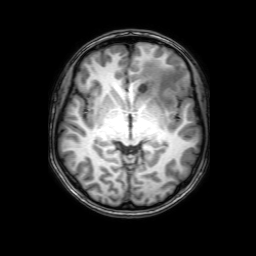
Case:
– modality: 3 Tesla brain MRI
– series: 3D T1-weighted with SENSE
– study: ring-enhancing brain masses